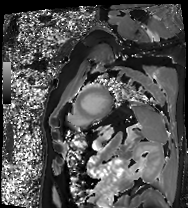
modality: cardiac MRI
cohort: patient